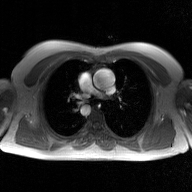
2D phase-contrast cine MRI of the ascending aorta, GAN super-resolution reconstruction.